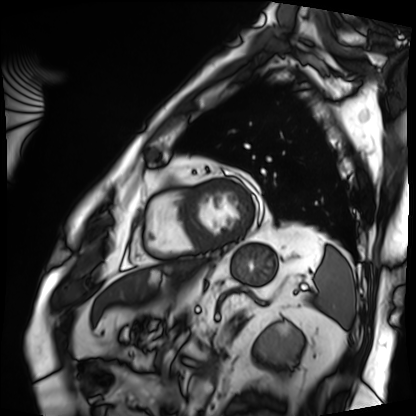
<record>
<modality>cardiac MRI</modality>
<cohort>patient</cohort>
</record>